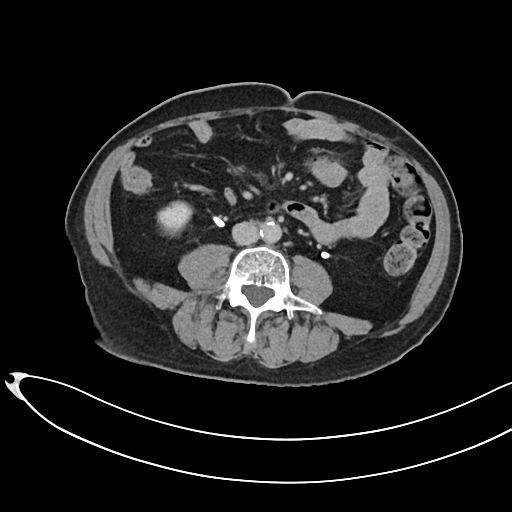
modality = multiphase abdominal CT, liver, delayed phase
patient = male, age 66
history = prior chemotherapy